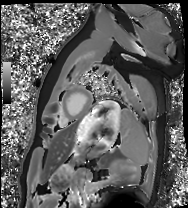
Cardiac MRI.
Subject group: healthy volunteer.